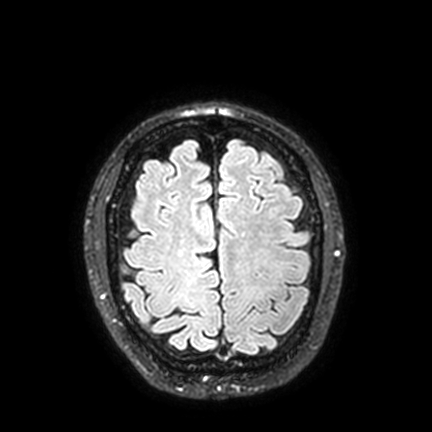
modality: 3 Tesla brain MRI
series: FLAIR VISTA with SENSE
study: ring-enhancing brain masses